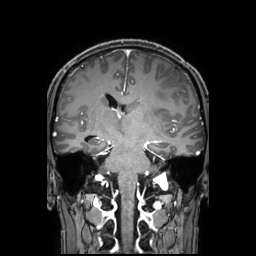
Summary:
3 Tesla brain MRI. Series: 3D T1-weighted TFE with SENSE. Study: ring-enhancing brain masses.